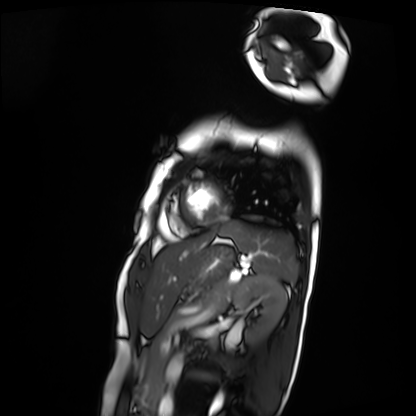
modality = cardiac MRI
subject group = patient